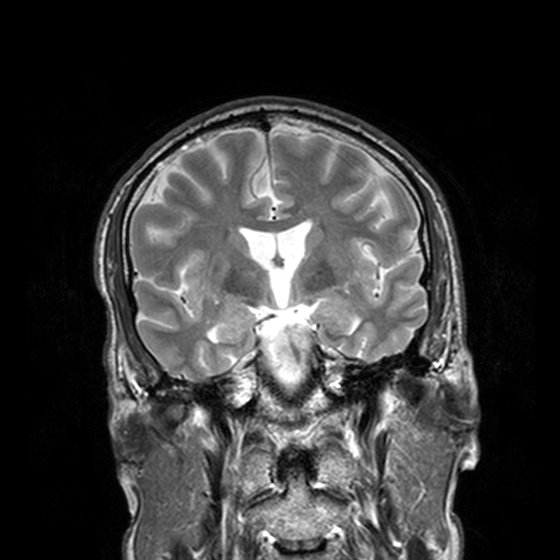
modality = 3 Tesla brain MRI; series = T2-weighted turbo spin echo, 3 mm; study = ring-enhancing brain masses.